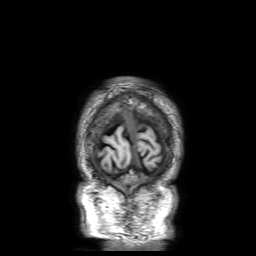
modality: 3 Tesla brain MRI | series: 3D T1-weighted with SENSE | study: ring-enhancing brain masses.